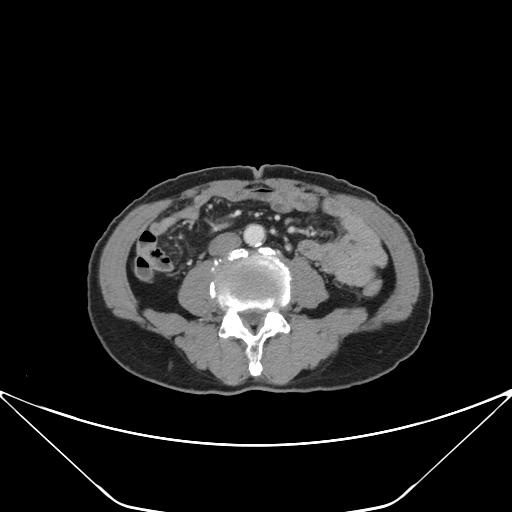
Multiphase abdominal CT, liver, portal venous phase.
Patient: male, age 71.
History: prior chemotherapy.